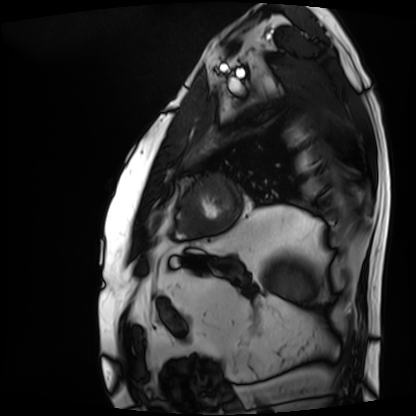
Summary: Cardiac MRI. Subject group: patient.